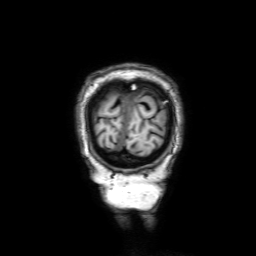
Case:
- modality — 3 Tesla brain MRI
- series — 3D T1-weighted with SENSE
- study — ring-enhancing brain masses